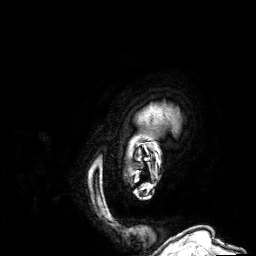
3 Tesla brain MRI. Series: 3D T1-weighted. Study: ring-enhancing brain masses.